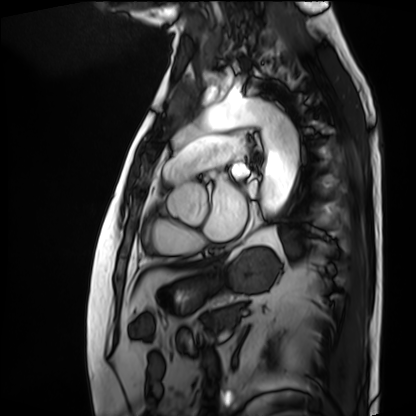
<scan>
<modality>cardiac MRI</modality>
<cohort>patient</cohort>
</scan>